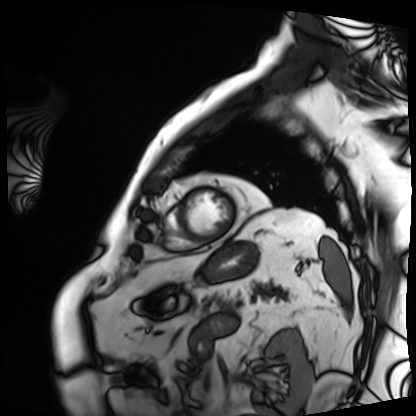
{"modality": "cardiac MRI", "cohort": "patient"}